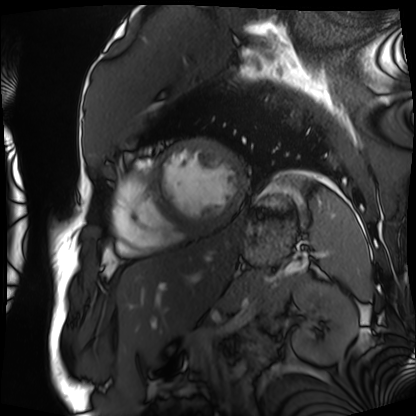
modality: cardiac MRI; subject group: patient.